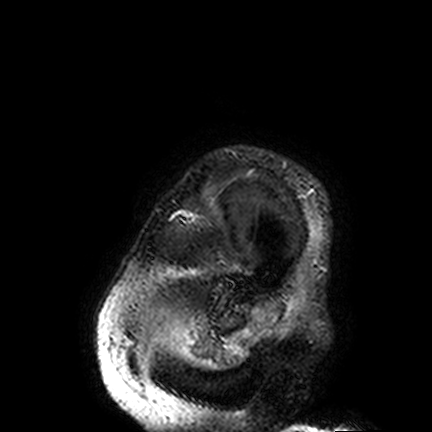
| field | value |
|---|---|
| modality | 3 Tesla brain MRI |
| series | FLAIR VISTA |
| study | ring-enhancing brain masses |